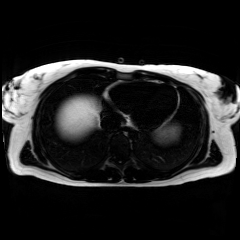
modality: chemical-shift-encoded cardiac MRI.